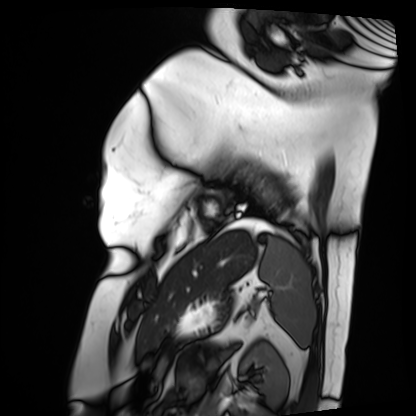
Cardiac MRI. Subject group: patient.